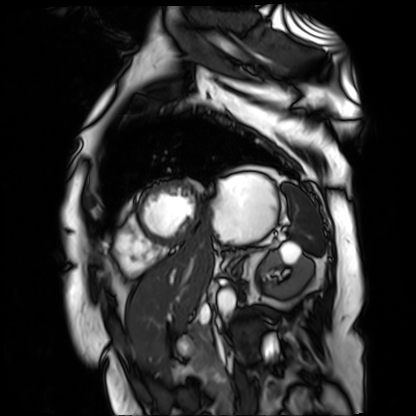
modality: cardiac MR image of the myocardium
cohort: cardiac patient